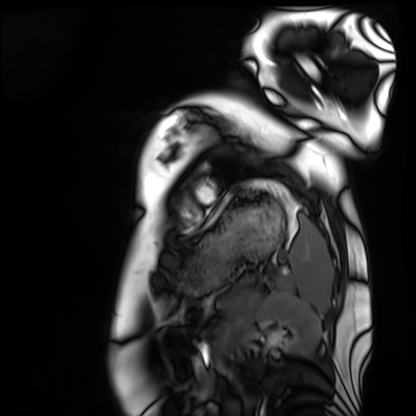
* modality · cardiac MRI
* subject group · healthy volunteer